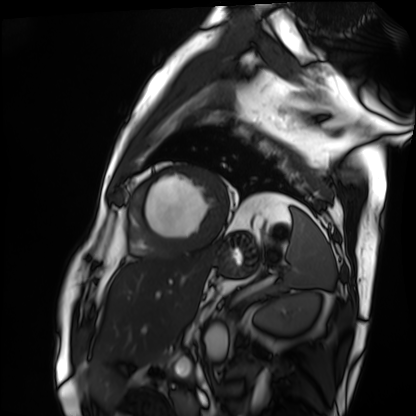
modality — cardiac MRI; subject group — patient.